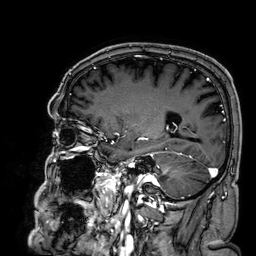
3 Tesla brain MRI.
Series: 3D T1-weighted.
Study: ring-enhancing brain masses.